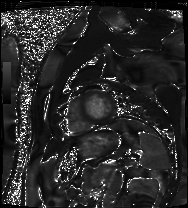
modality = cardiac MRI, subject group = patient.